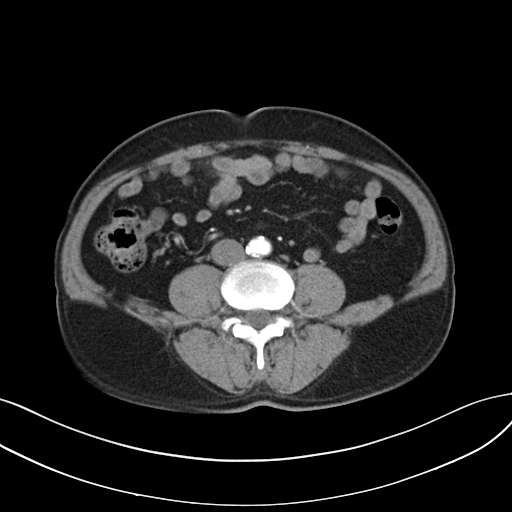
| field | value |
|---|---|
| modality | multiphase abdominal CT, liver, arterial phase |
| patient | male, age 61 |
| history | cirrhosis, viral hepatitis |